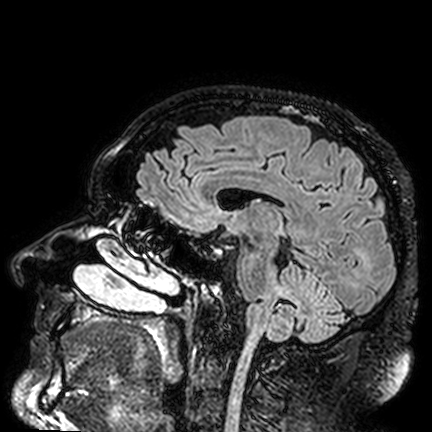
modality: 3 Tesla brain MRI
series: FLAIR VISTA
study: ring-enhancing brain masses